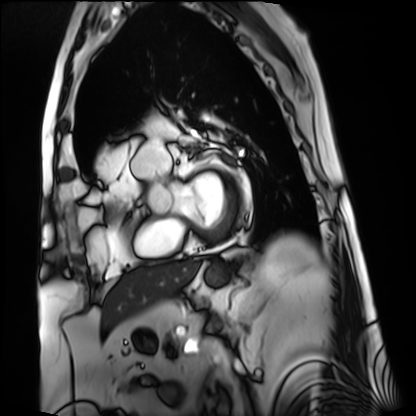
Cardiac MRI.
Subject group: patient.